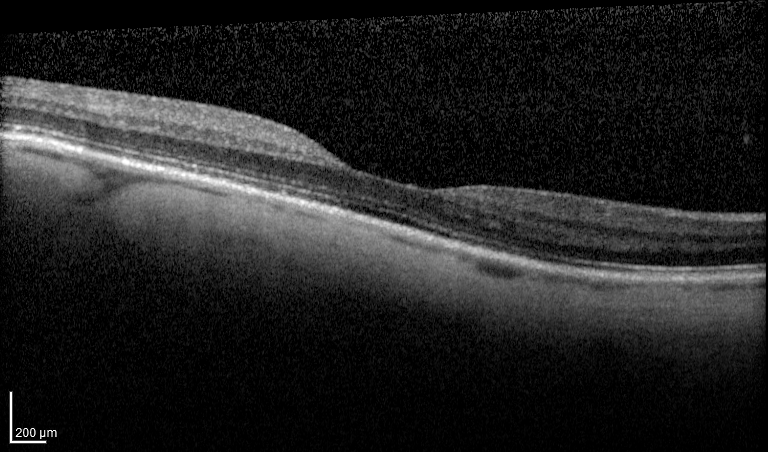
Q: What kind of scan is this?
A: Spectral-domain optical coherence tomography (SD-OCT) of the macula.
Q: Subject?
A: Female, age 77, right eye.
Cohort: non-diabetic control.
Q: ETDRS-grid retinal thickness (μm)?
A: Central 242, inner temporal 298, inner nasal 301, inner superior 304, inner inferior 309, outer superior 260.